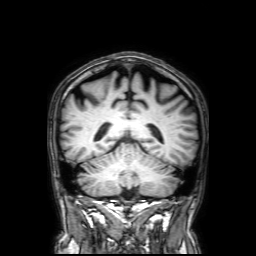
3 Tesla brain MRI. Series: 3D T1-weighted with SENSE. Study: ring-enhancing brain masses.